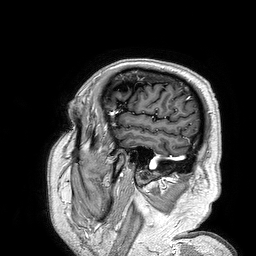
| field | value |
|---|---|
| modality | 3 Tesla brain MRI |
| series | 3D T1-weighted turbo field echo |
| study | ring-enhancing brain masses |